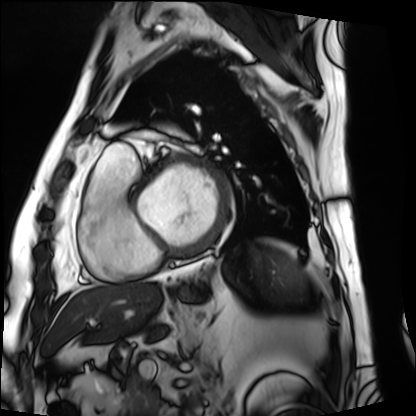
Cardiac MRI. Subject group: patient.